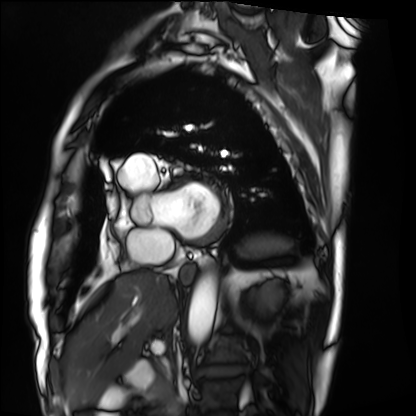
Case summary: Cardiac MRI. Subject group: patient.